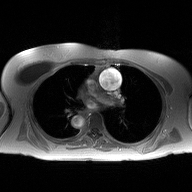
Case summary:
2D phase-contrast cine MRI of the ascending aorta, high-resolution GRAPPA acquisition.